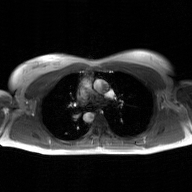
- modality — 2D phase-contrast cine MRI of the ascending aorta, GAN super-resolution reconstruction